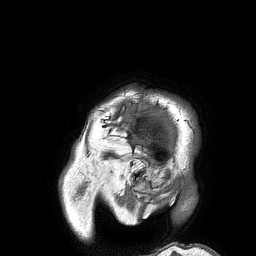
Summary:
3 Tesla brain MRI. Series: 3D T1-weighted turbo field echo. Study: ring-enhancing brain masses.